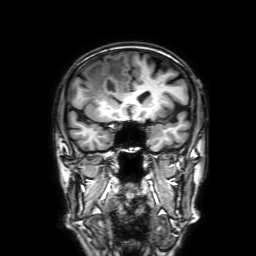
{"modality": {"type": "brain MRI", "field_strength": "3T"}, "series": "3D T1-weighted with SENSE", "study_topic": "ring-enhancing brain masses"}